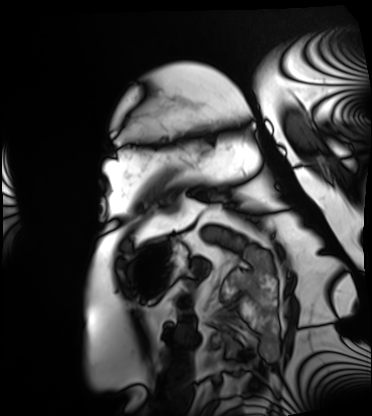
Cardiac MRI. Subject group: patient.